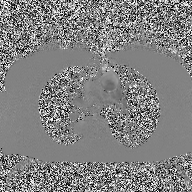
2D phase-contrast cine MRI of the ascending aorta, high-resolution GRAPPA acquisition.